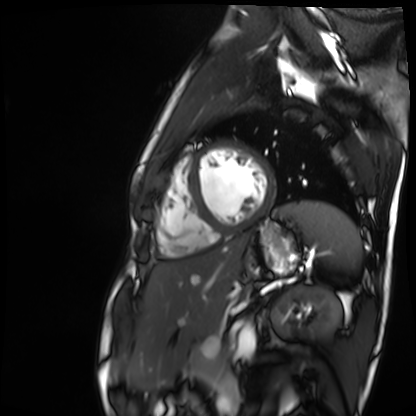
  modality: cardiac MR image of the myocardium
  cohort: healthy volunteer